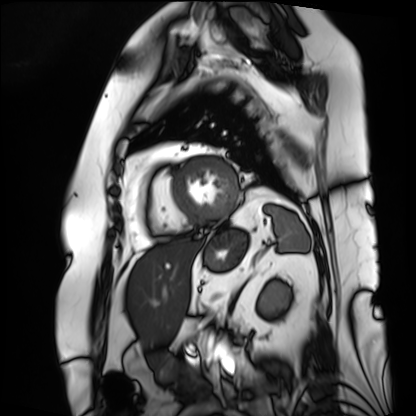
Summary:
Cardiac MRI. Subject group: patient.